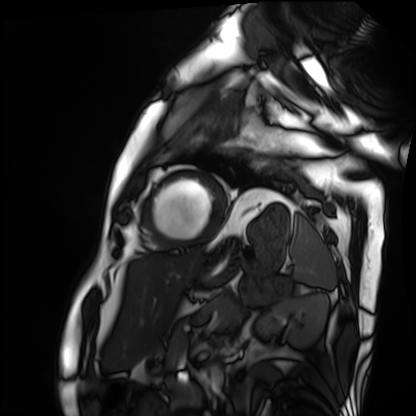
Q: What kind of scan is this?
A: Cardiac MRI.
Subject group: patient.